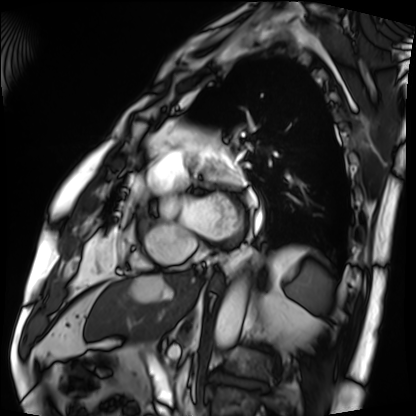
Cardiac MRI.
Subject group: patient.